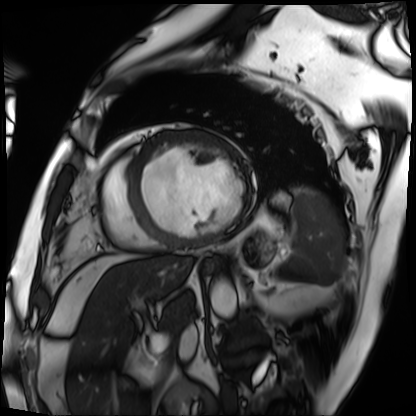
| field | value |
|---|---|
| modality | cardiac MRI |
| subject group | patient |